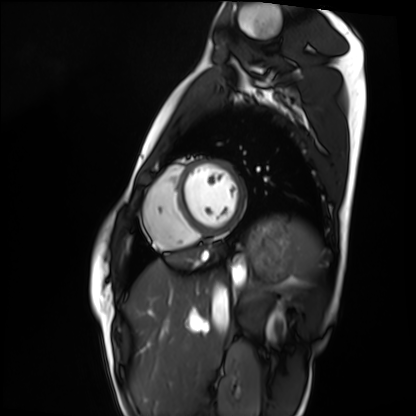
modality: cardiac MRI | subject group: healthy volunteer.